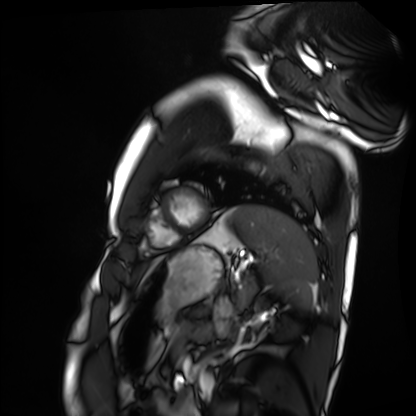
Cardiac MRI. Subject group: healthy volunteer.